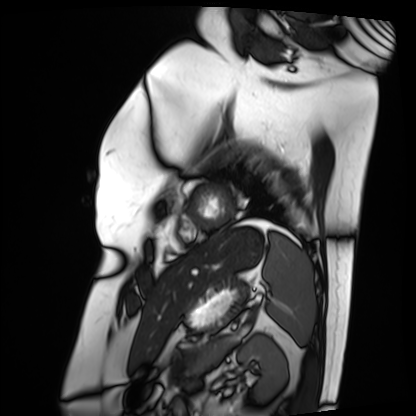
Cardiac MRI. Subject group: patient.